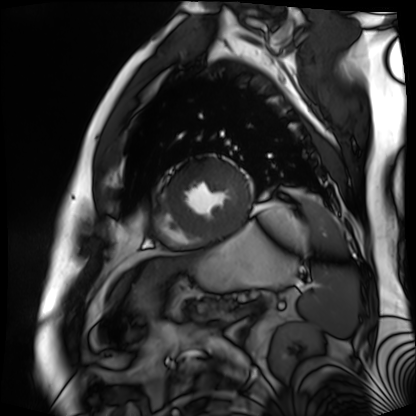
<record>
<modality>cardiac MR image of the myocardium</modality>
<cohort>cardiac patient</cohort>
</record>